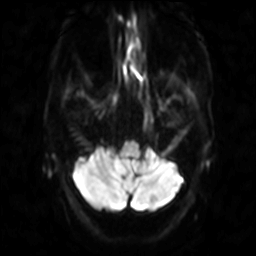
Clinical context:
3 Tesla brain MRI. Series: diffusion-weighted imaging. Study: ring-enhancing brain masses.